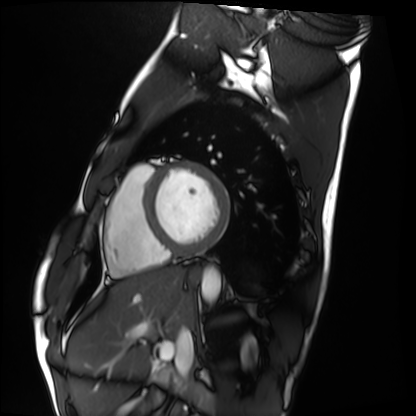
Q: What kind of scan is this?
A: Cardiac MRI.
Subject group: healthy volunteer.